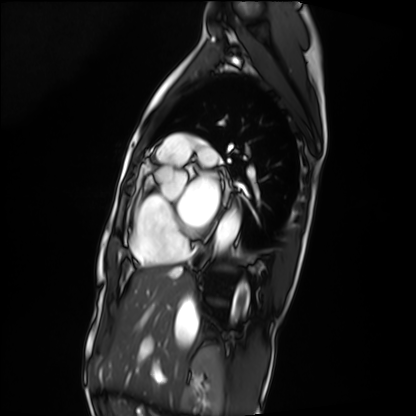
modality = cardiac MRI | subject group = patient.